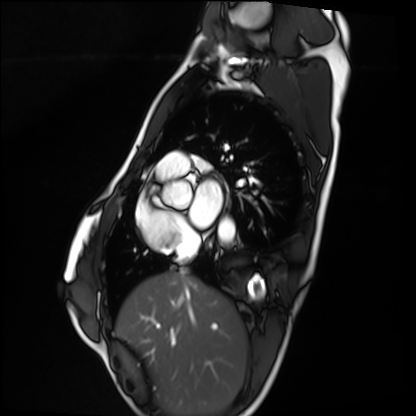
modality: cardiac MRI; subject group: healthy volunteer.